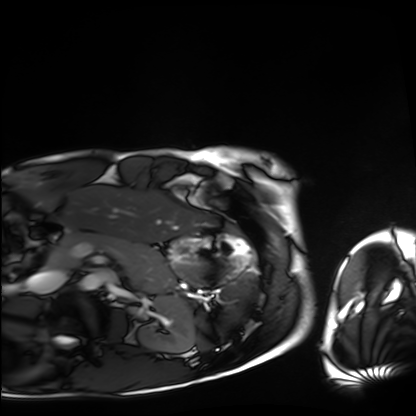
Q: What kind of scan is this?
A: Cardiac MRI.
Subject group: healthy volunteer.